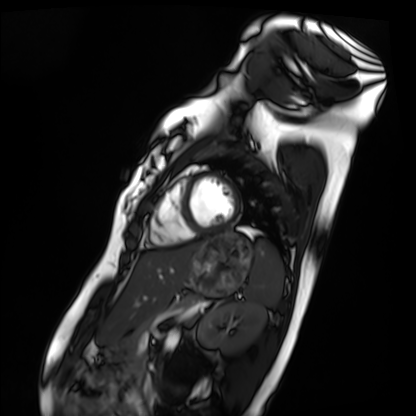
Cardiac MRI.
Subject group: healthy volunteer.